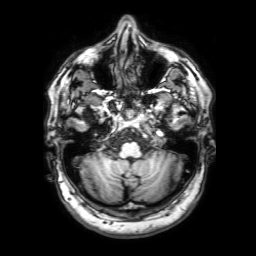
3 Tesla brain MRI. Series: 3D T1-weighted with SENSE. Study: ring-enhancing brain masses.